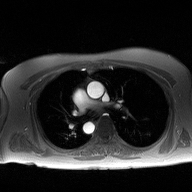
<scan>
  <modality>
    <type>2D phase-contrast cine MRI</type>
    <region>ascending aorta</region>
    <reconstruction>high-resolution GRAPPA acquisition</reconstruction>
  </modality>
</scan>